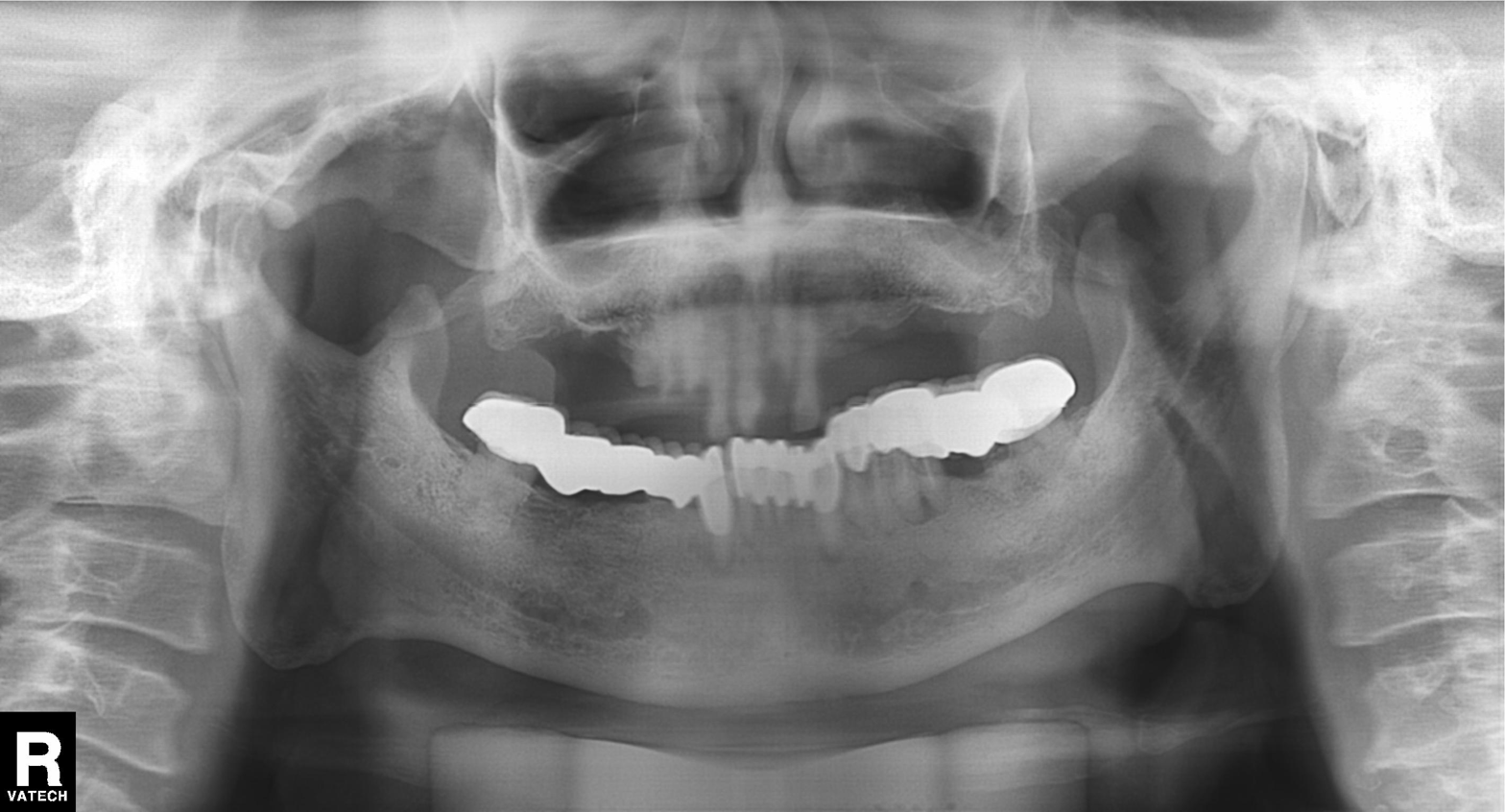
Q: What kind of scan is this?
A: Panoramic dental radiograph (orthopantomogram).
Q: What is the radiographic finding?
A: Dental caries (cavities).